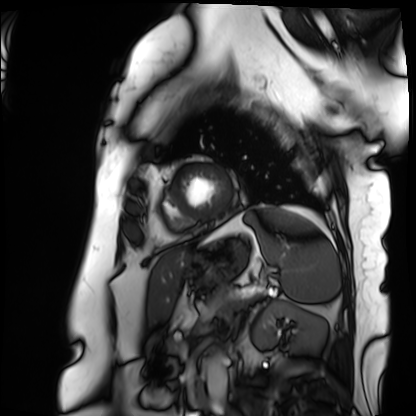
* modality — cardiac MRI
* subject group — patient